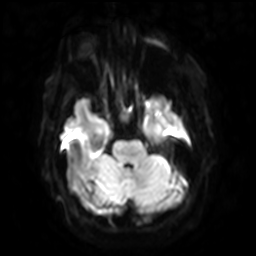
3 Tesla brain MRI.
Series: diffusion-weighted imaging with SENSE (WIP).
Study: ring-enhancing brain masses.